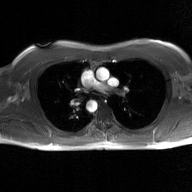
{"modality": {"type": "2D phase-contrast cine MRI", "region": "ascending aorta", "reconstruction": "GAN super-resolution reconstruction"}}